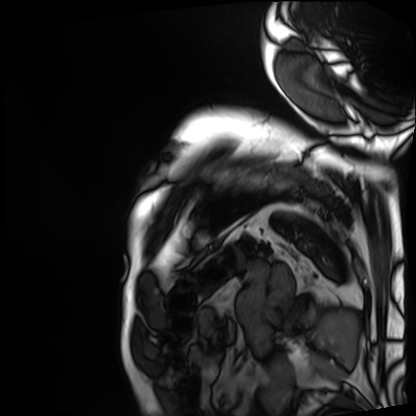
  modality: cardiac MRI
  cohort: patient